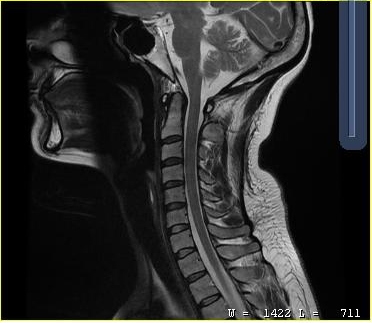
Summary: MRI of the cervical spine. Study: cervical spondylosis.